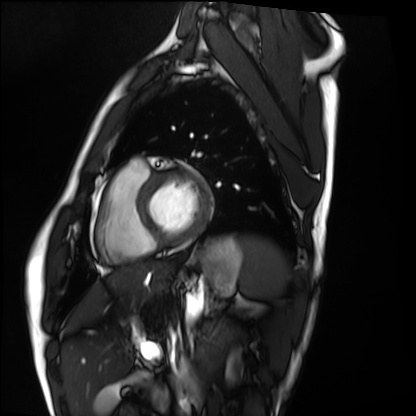
Q: What kind of scan is this?
A: Cardiac MRI.
Subject group: healthy volunteer.